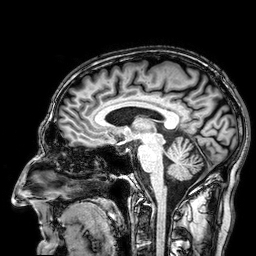
{
  "modality": {
    "type": "brain MRI",
    "field_strength": "3T"
  },
  "series": "3D T1-weighted",
  "study_topic": "ring-enhancing brain masses"
}